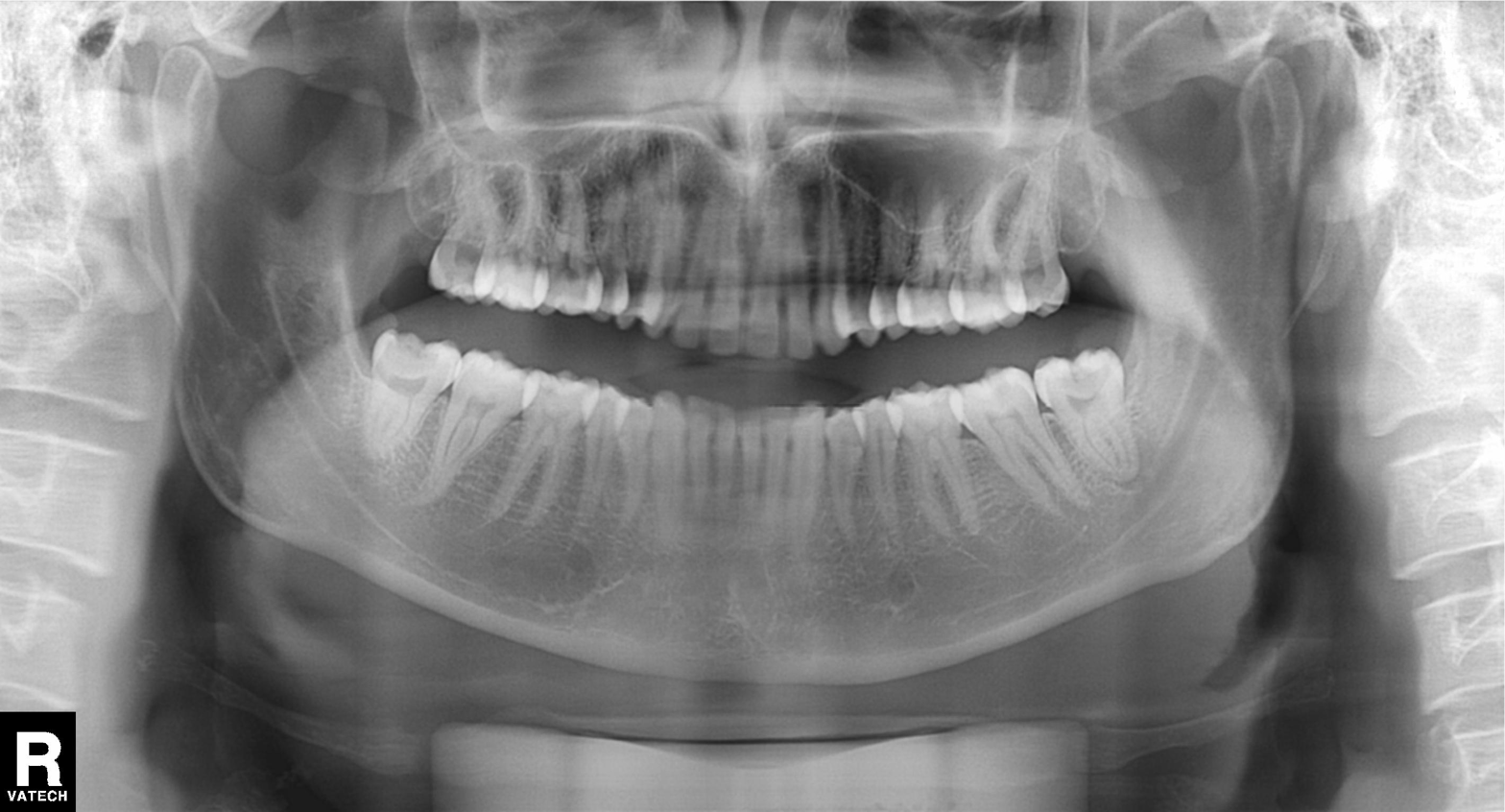
Panoramic dental radiograph (orthopantomogram). Finding: dental caries (cavities).